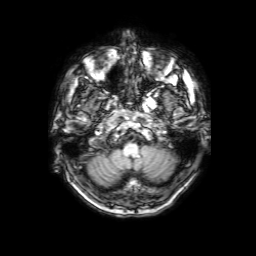
3 Tesla brain MRI.
Study: ring-enhancing brain masses.